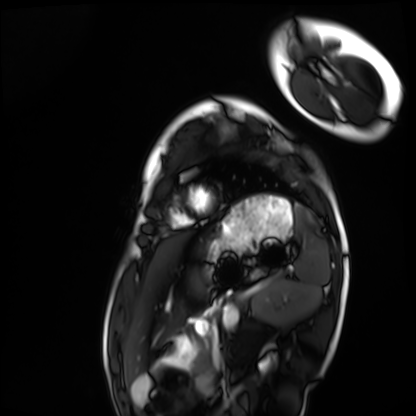
Cardiac MRI. Subject group: healthy volunteer.